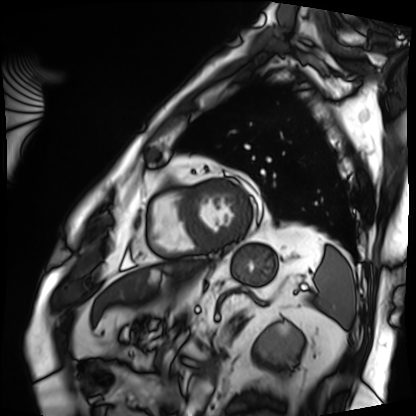
modality — cardiac MRI | subject group — patient.